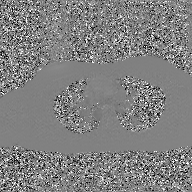
2D phase-contrast cine MRI of the ascending aorta, GAN super-resolution reconstruction.